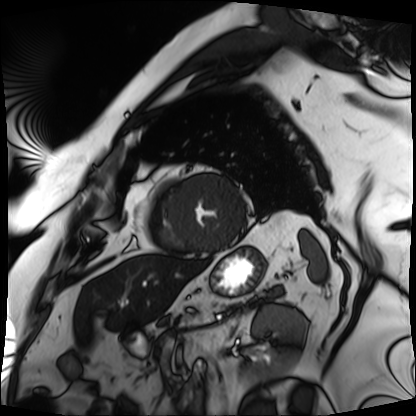
| field | value |
|---|---|
| modality | cardiac MRI |
| subject group | patient |